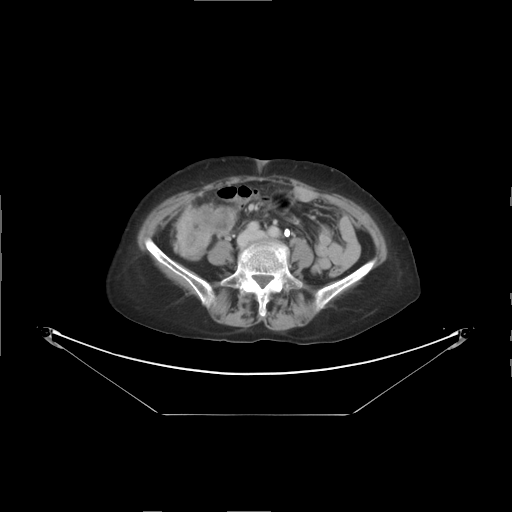
Multiphase abdominal CT, liver, delayed phase.
Patient: female, age 63.